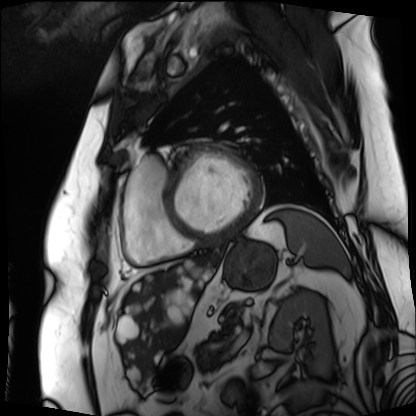
Cardiac MRI. Subject group: patient.